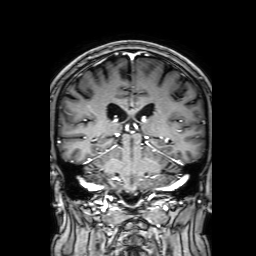
modality:
  type: brain MRI
  field_strength: 3T
series: 3D T1-weighted with SENSE
study_topic: ring-enhancing brain masses